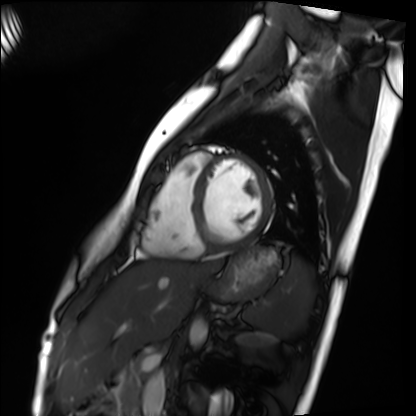
Summary: Cardiac MRI. Subject group: healthy volunteer.